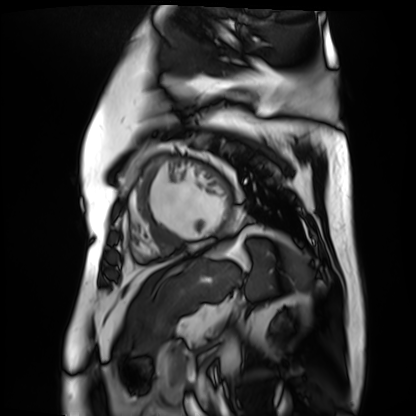
• modality — cardiac MR image of the myocardium
• subject cohort — cardiac patient